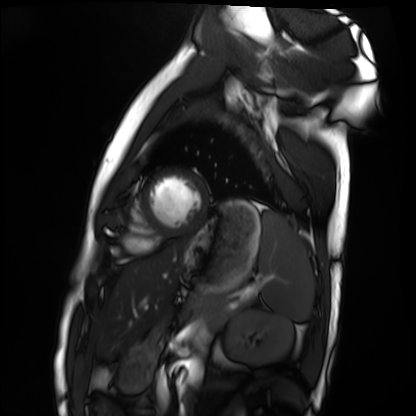
modality: cardiac MRI, subject group: healthy volunteer.